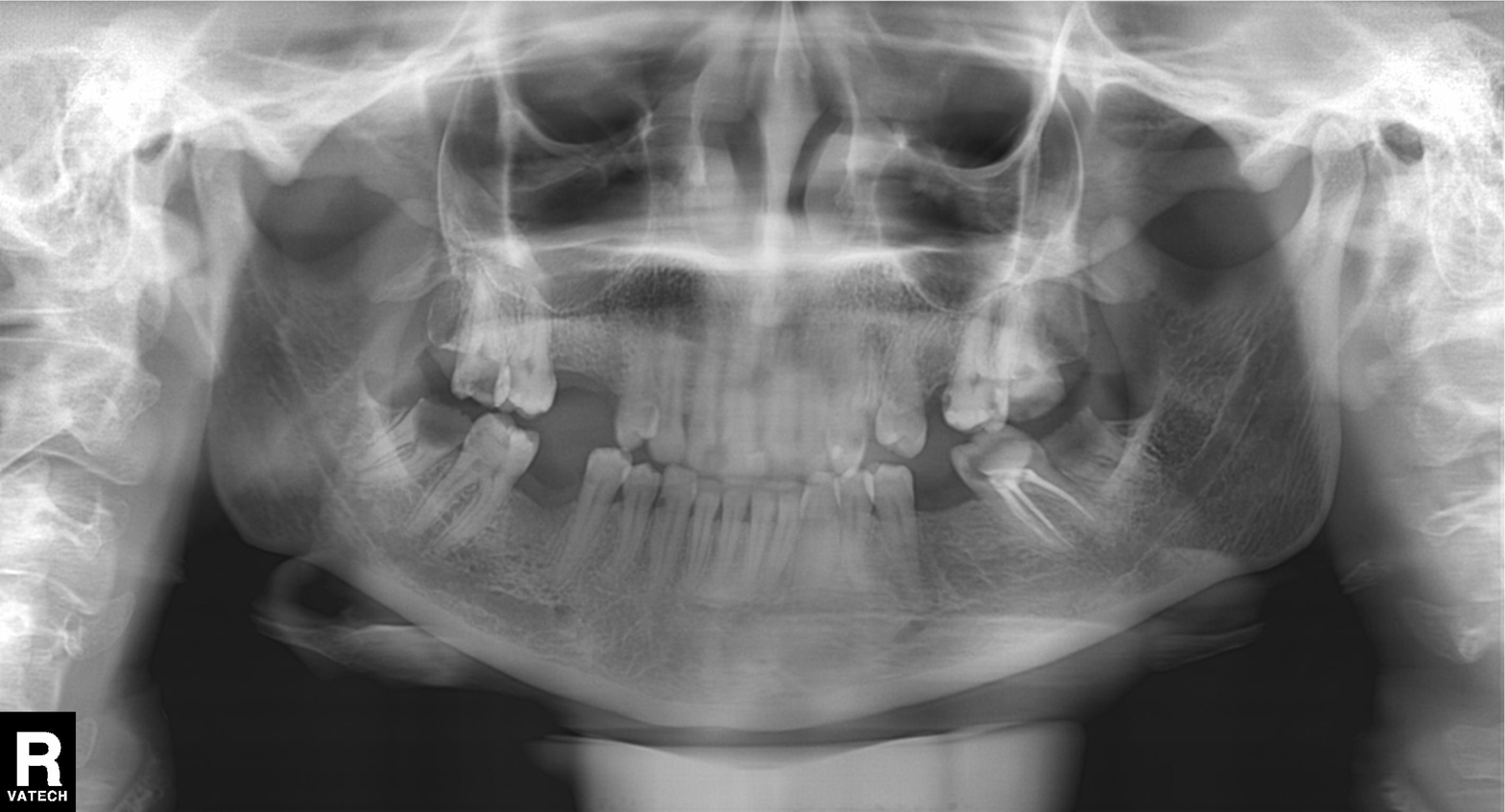
* modality · panoramic dental radiograph (orthopantomogram)
* finding · alveolar bone loss